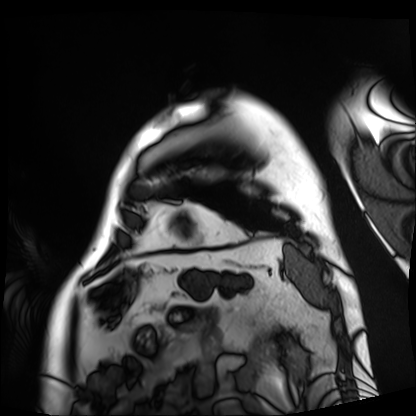
Cardiac MRI. Subject group: patient.